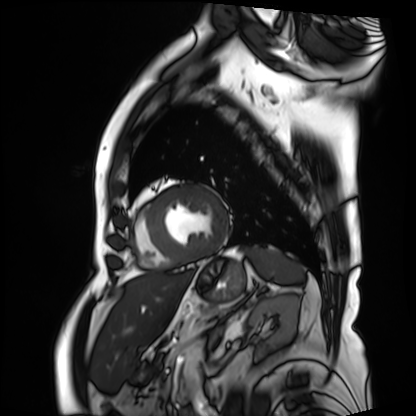
Cardiac MRI. Subject group: patient.